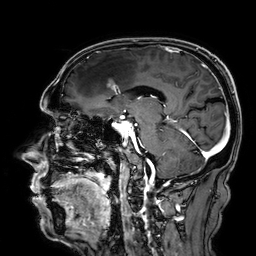
| field | value |
|---|---|
| modality | 3 Tesla brain MRI |
| series | 3D T1-weighted |
| study | ring-enhancing brain masses |